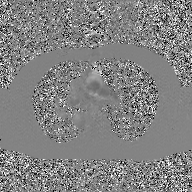
2D phase-contrast cine MRI of the ascending aorta, GAN super-resolution reconstruction.